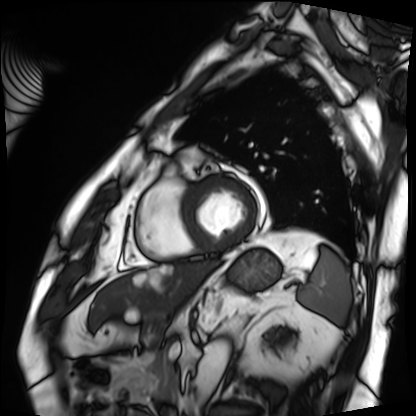
Cardiac MRI.
Subject group: patient.